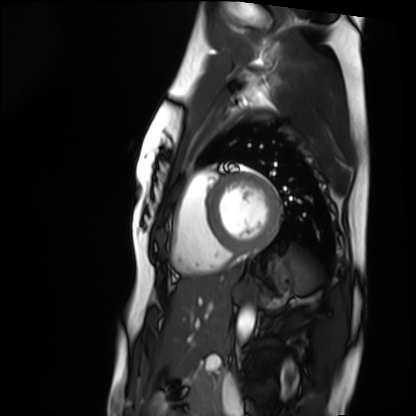
* modality — cardiac MRI
* subject group — healthy volunteer